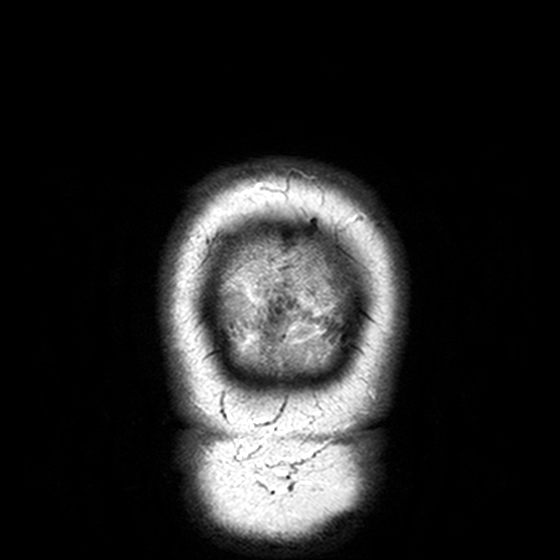
3 Tesla brain MRI. Series: T2-weighted turbo spin echo, 3 mm. Study: ring-enhancing brain masses.